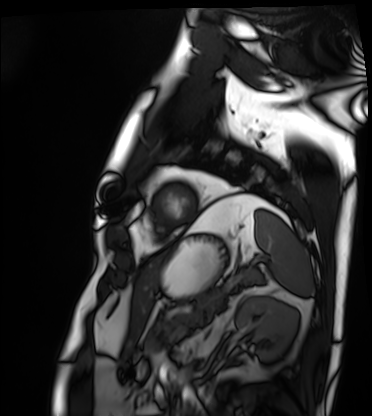
Clinical context:
Cardiac MRI. Subject group: patient.